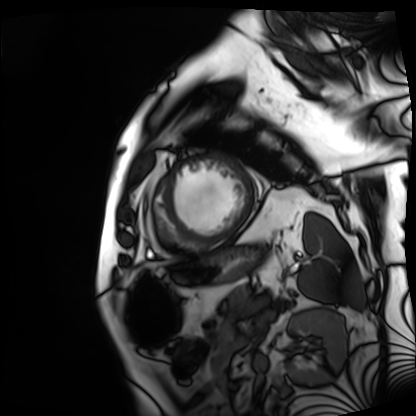
modality: cardiac MRI; subject group: patient.